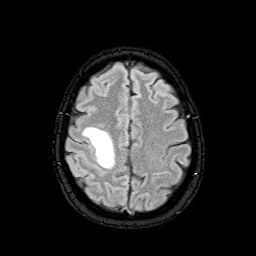
Q: What kind of scan is this?
A: 3 Tesla brain MRI.
Q: Series?
A: FLAIR with SPAIR.
Study: ring-enhancing brain masses.